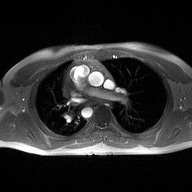
* modality: 2D phase-contrast cine MRI of the ascending aorta